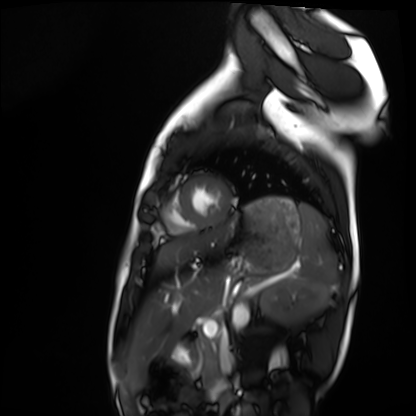
Q: What kind of scan is this?
A: Cardiac MRI.
Subject group: healthy volunteer.